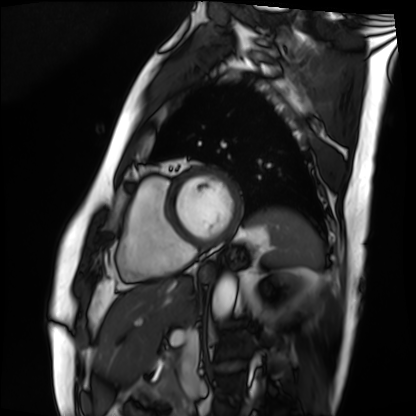
Summary: Cardiac MRI. Subject group: patient.